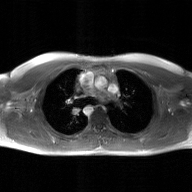
Summary: 2D phase-contrast cine MRI of the ascending aorta, GAN super-resolution reconstruction.